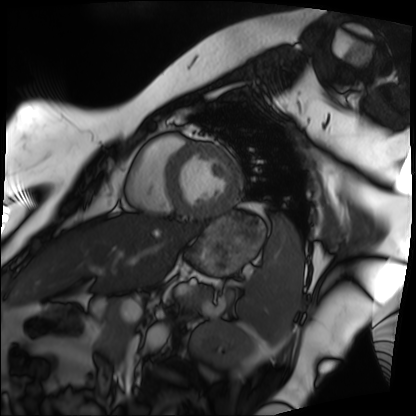
Clinical context:
Cardiac MRI. Subject group: patient.